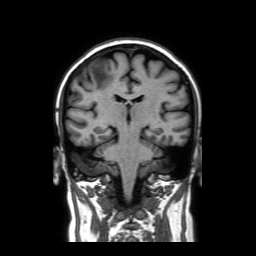
Clinical context:
3 Tesla brain MRI. Series: coronal without contrast. Study: ring-enhancing brain masses.